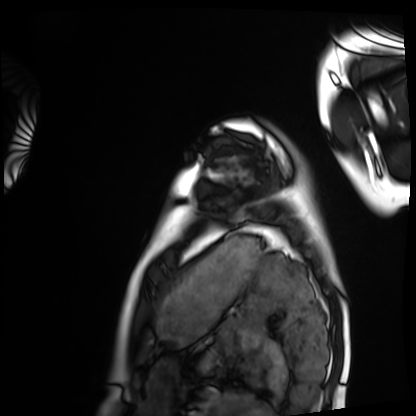
| field | value |
|---|---|
| modality | cardiac MRI |
| subject group | healthy volunteer |